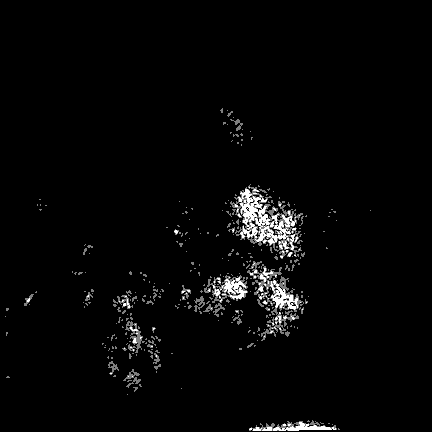
modality: 3 Tesla brain MRI
series: FLAIR VISTA
study: ring-enhancing brain masses